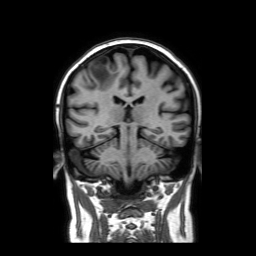
Case summary: 3 Tesla brain MRI. Series: coronal without contrast. Study: ring-enhancing brain masses.